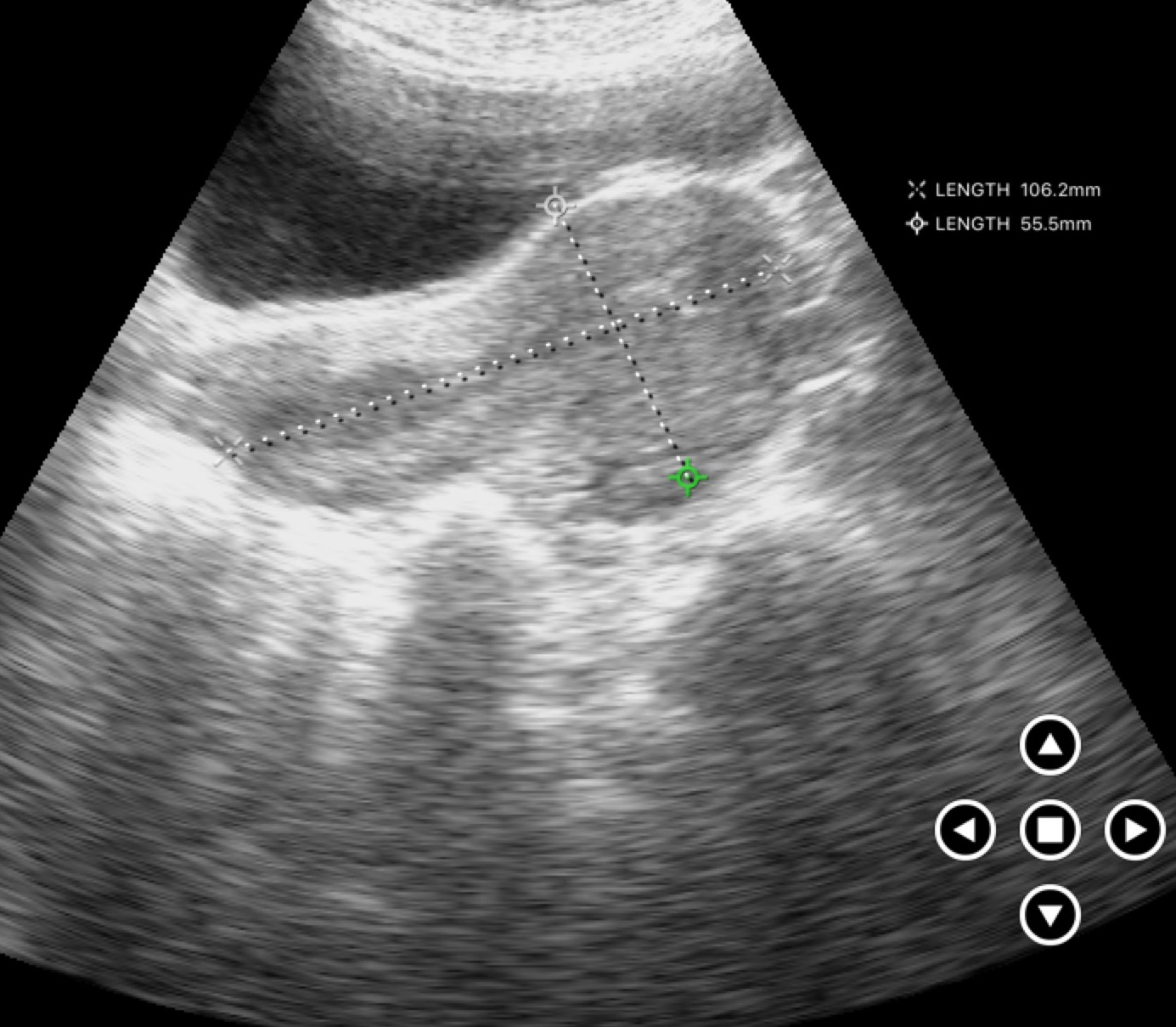
modality — genitourinary ultrasound